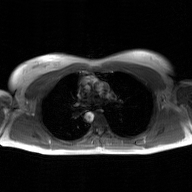
Summary: 2D phase-contrast cine MRI of the ascending aorta, GAN super-resolution reconstruction.